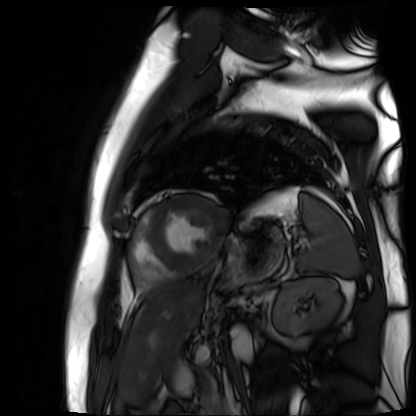
Q: What kind of scan is this?
A: Cardiac MR image of the myocardium.
Subject cohort: cardiac patient.